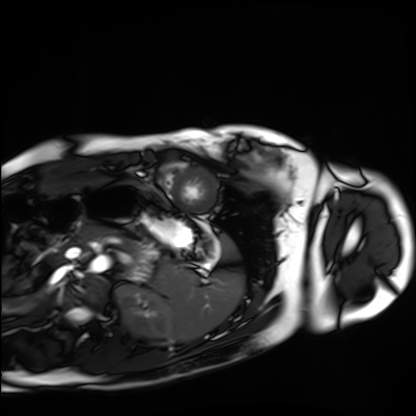
Q: What kind of scan is this?
A: Cardiac MRI.
Subject group: healthy volunteer.